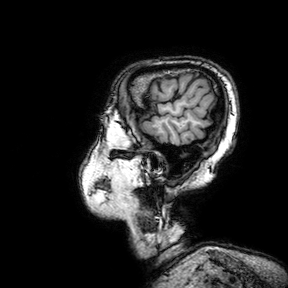
Summary: 3 Tesla brain MRI. Series: 3D T1-weighted turbo field echo with SENSE. Study: ring-enhancing brain masses.